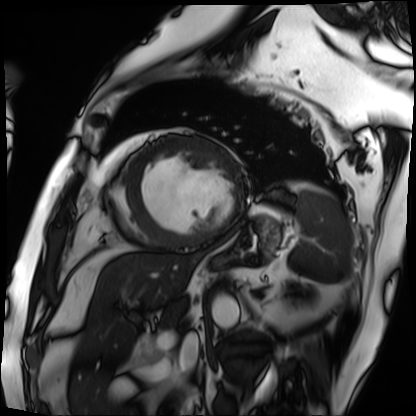
Cardiac MRI. Subject group: patient.